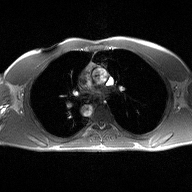
2D phase-contrast cine MRI of the ascending aorta, high-resolution GRAPPA acquisition.